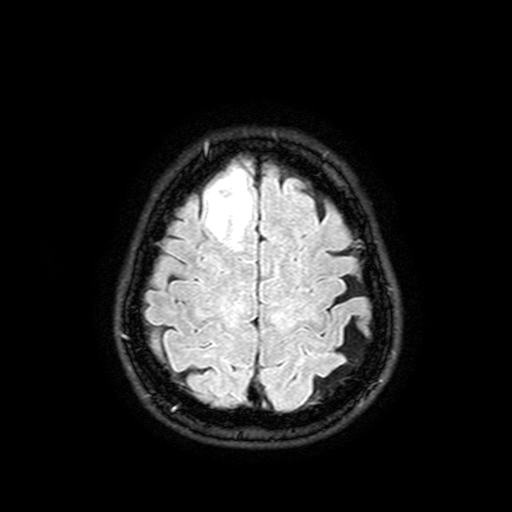
Q: What kind of scan is this?
A: 3 Tesla brain MRI.
Q: Series?
A: FLAIR with SPAIR, 3 mm.
Study: ring-enhancing brain masses.